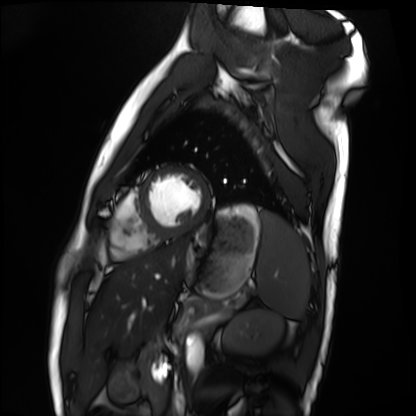
{
  "modality": "cardiac MRI",
  "cohort": "healthy volunteer"
}